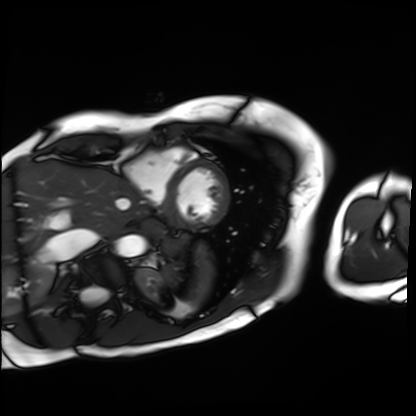
Cardiac MRI. Subject group: patient.